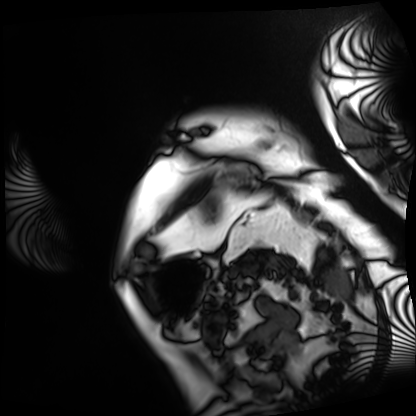
– modality — cardiac MRI
– subject group — patient